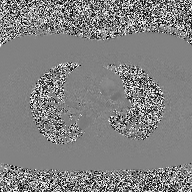
| field | value |
|---|---|
| modality | 2D phase-contrast cine MRI of the ascending aorta |